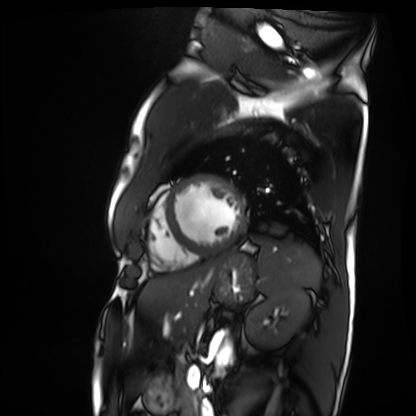
Clinical context:
Cardiac MRI. Subject group: patient.